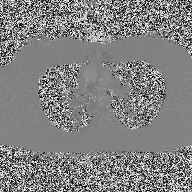
Summary:
2D phase-contrast cine MRI of the ascending aorta, high-resolution GRAPPA acquisition.